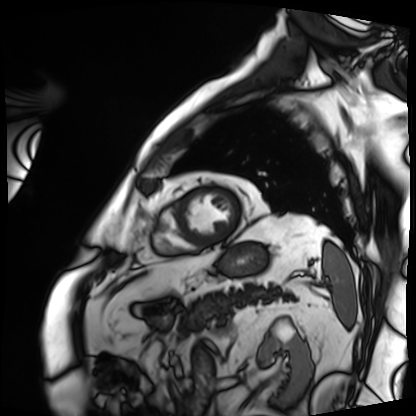
Case:
- modality — cardiac MRI
- subject group — patient